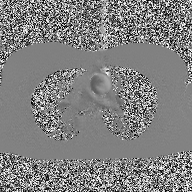
modality=2D phase-contrast cine MRI of the ascending aorta.